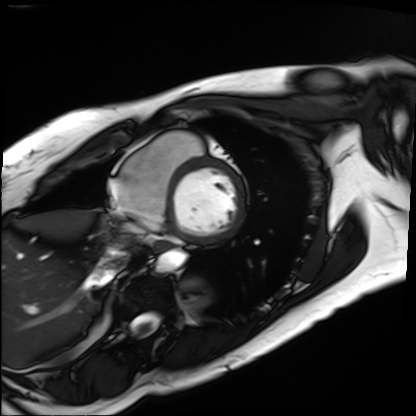
{
  "modality": "cardiac MRI",
  "cohort": "patient"
}